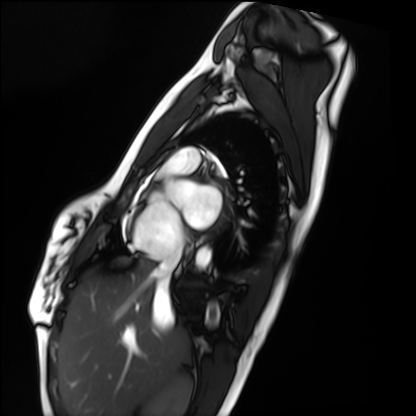
Q: What kind of scan is this?
A: Cardiac MRI.
Subject group: healthy volunteer.